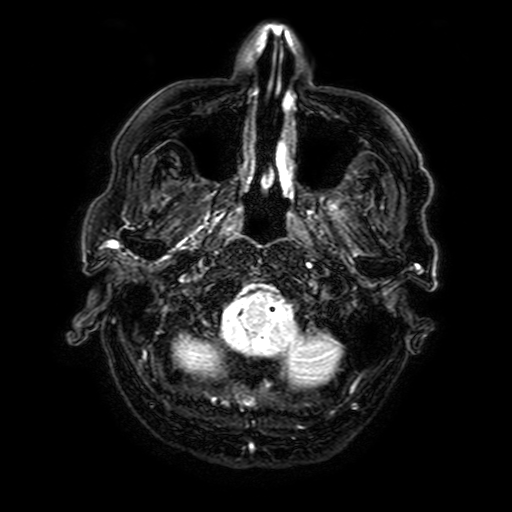
Summary: 3 Tesla brain MRI. Series: FLAIR with SPAIR, 3 mm. Study: ring-enhancing brain masses.